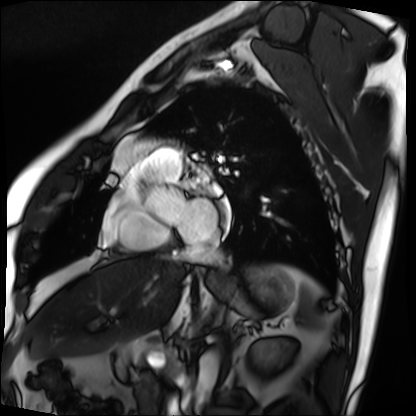
Summary:
Cardiac MRI. Subject group: patient.